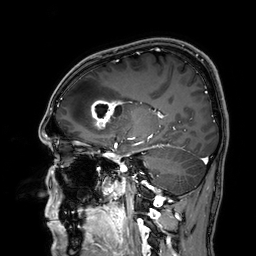
Q: What kind of scan is this?
A: 3 Tesla brain MRI.
Study: ring-enhancing brain masses.